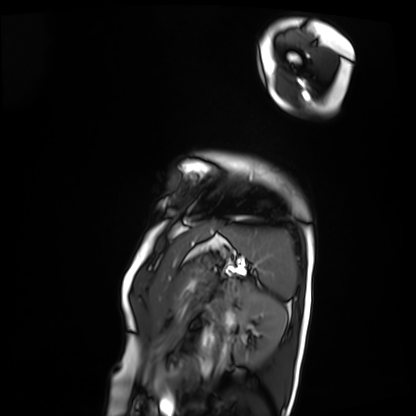
Summary: Cardiac MRI. Subject group: patient.